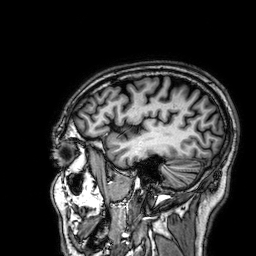
modality = 3 Tesla brain MRI | series = 3D T1-weighted | study = ring-enhancing brain masses.